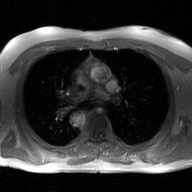
Q: What kind of scan is this?
A: 2D phase-contrast cine MRI of the ascending aorta, GAN super-resolution reconstruction.